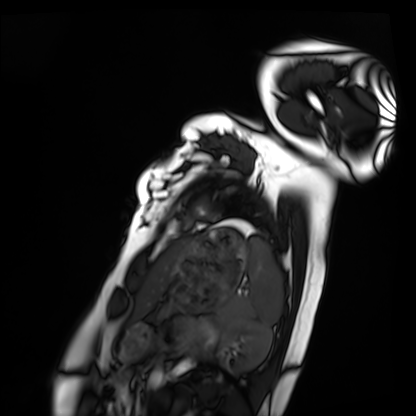
Cardiac MRI. Subject group: healthy volunteer.